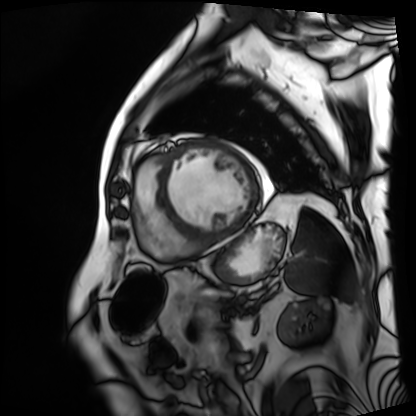
{"modality": "cardiac MRI", "cohort": "patient"}